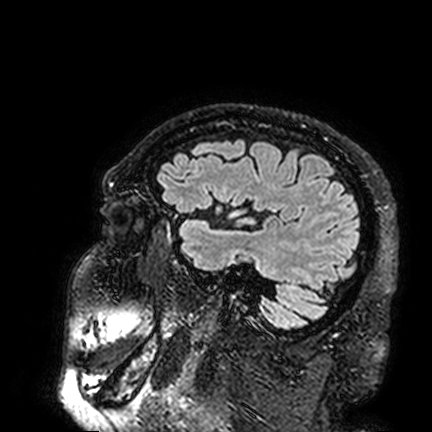
modality = 3 Tesla brain MRI; study = ring-enhancing brain masses.